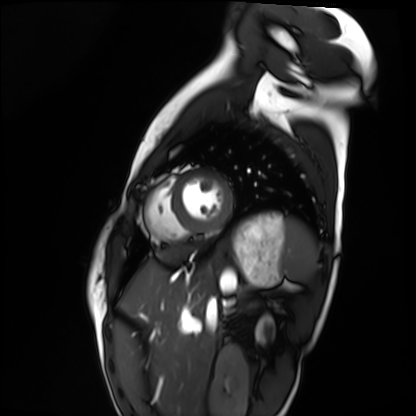
Clinical context: Cardiac MRI. Subject group: healthy volunteer.